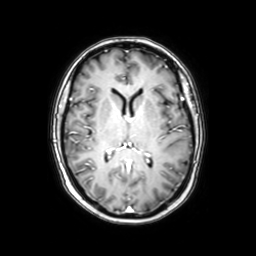
{
  "modality": {
    "type": "brain MRI",
    "field_strength": "3T"
  },
  "series": "axial with contrast",
  "study_topic": "ring-enhancing brain masses"
}